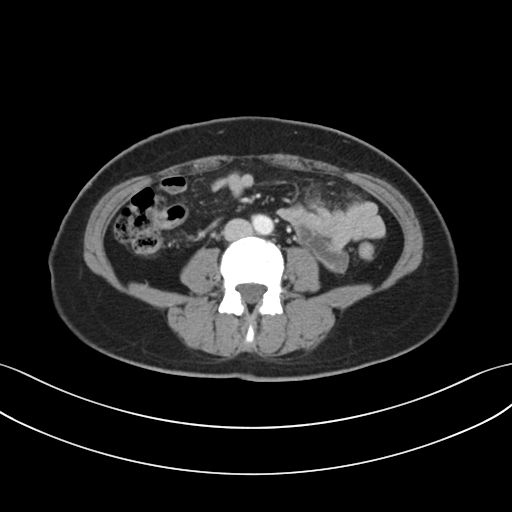
Multiphase abdominal CT, liver, portal venous phase. Patient: female, age 44. History: prior chemotherapy.